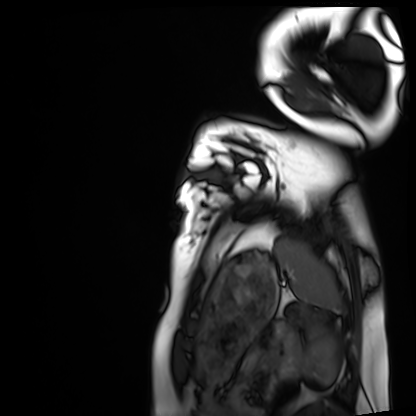
{"modality": "cardiac MRI", "cohort": "healthy volunteer"}